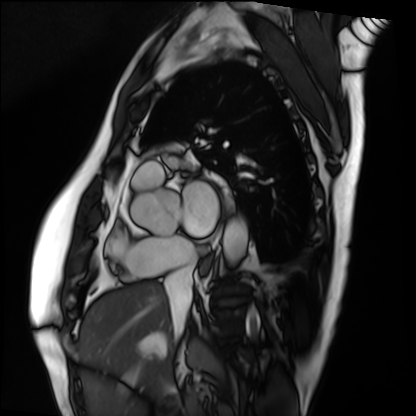
Summary:
Cardiac MRI. Subject group: patient.